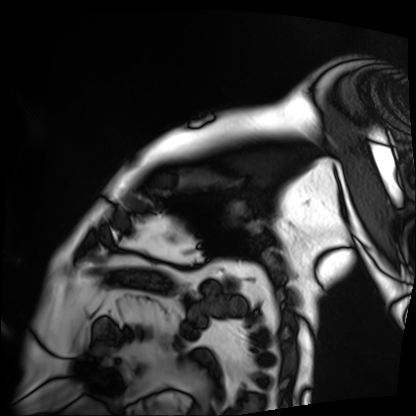
Summary: Cardiac MRI. Subject group: patient.